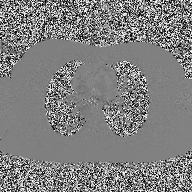
Case:
- modality: 2D phase-contrast cine MRI of the ascending aorta